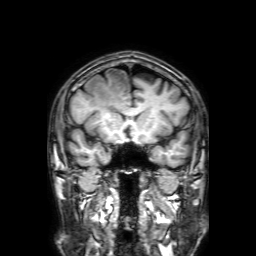
modality: 3 Tesla brain MRI
series: 3D T1-weighted with SENSE
study: ring-enhancing brain masses